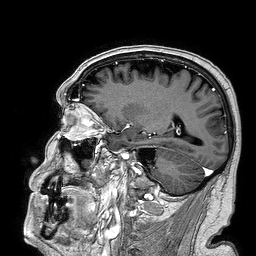
– modality — 3 Tesla brain MRI
– series — 3D T1-weighted turbo field echo
– study — ring-enhancing brain masses